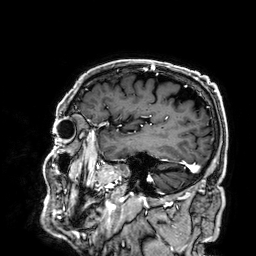
modality: 3 Tesla brain MRI; series: 3D T1-weighted; study: ring-enhancing brain masses.